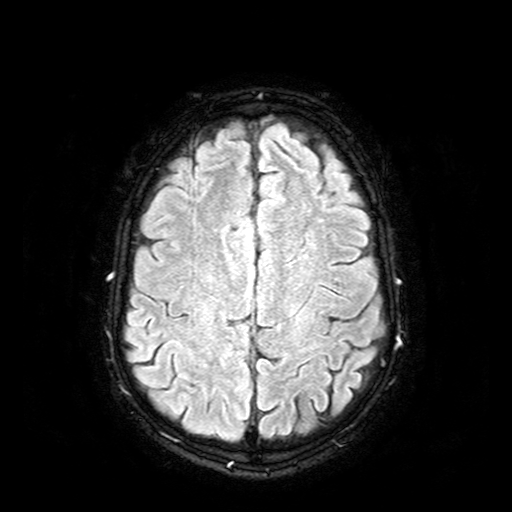
3 Tesla brain MRI.
Series: FLAIR with SPAIR.
Study: ring-enhancing brain masses.